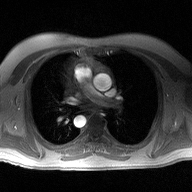
{"modality": {"type": "2D phase-contrast cine MRI", "region": "ascending aorta", "reconstruction": "high-resolution GRAPPA acquisition"}}